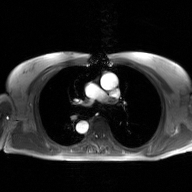
2D phase-contrast cine MRI of the ascending aorta, GAN super-resolution reconstruction.